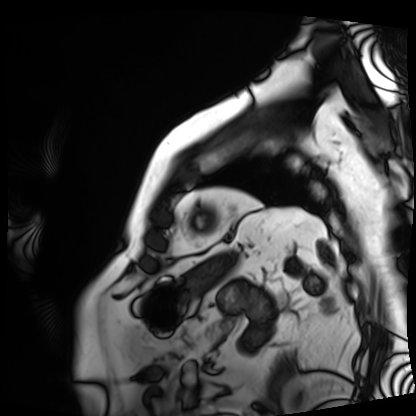
Cardiac MRI. Subject group: patient.